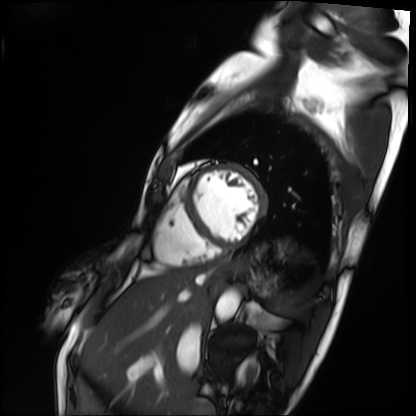
Case:
* modality: cardiac MRI
* subject group: patient